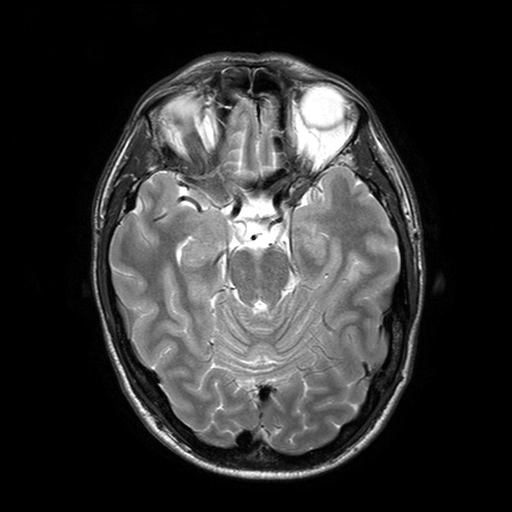
3 Tesla brain MRI. Series: T2-weighted turbo spin echo with SENSE. Study: ring-enhancing brain masses.